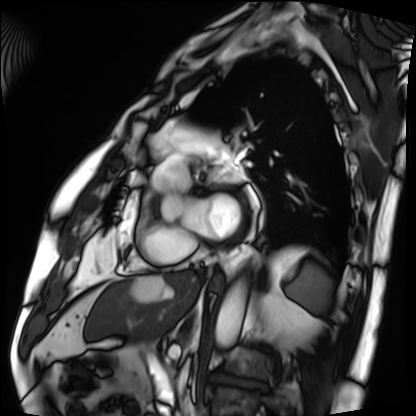
Q: What kind of scan is this?
A: Cardiac MRI.
Subject group: patient.